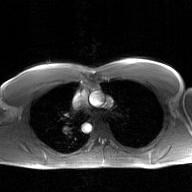
Summary:
2D phase-contrast cine MRI of the ascending aorta, GAN super-resolution reconstruction.